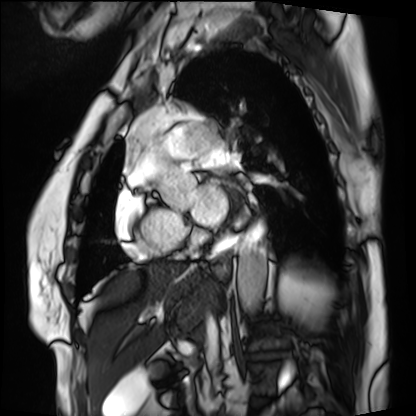
Clinical context: Cardiac MRI. Subject group: patient.